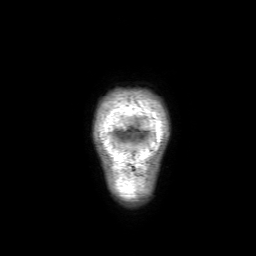
  modality:
    type: brain MRI
    field_strength: 3T
  series: 3D T1-weighted with SENSE
  study_topic: ring-enhancing brain masses